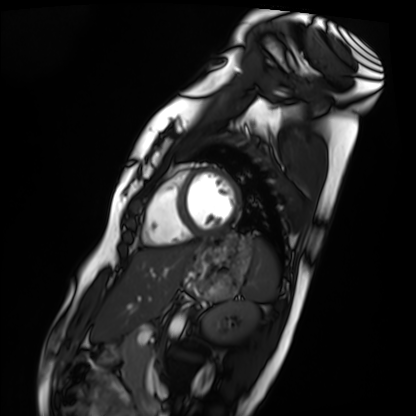
Q: What kind of scan is this?
A: Cardiac MRI.
Subject group: healthy volunteer.